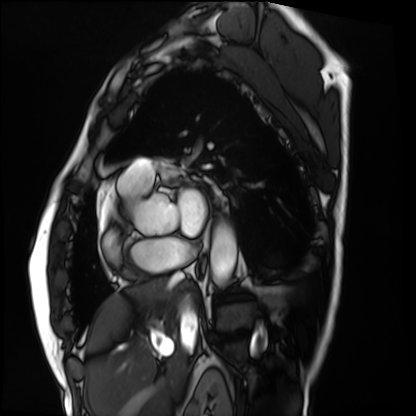
modality: cardiac MRI
cohort: patient